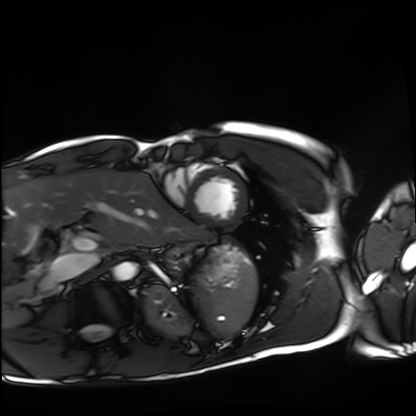
Summary: Cardiac MRI. Subject group: healthy volunteer.